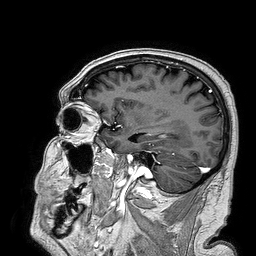
3 Tesla brain MRI. Series: 3D T1-weighted turbo field echo. Study: ring-enhancing brain masses.